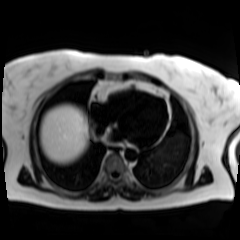
modality = chemical-shift-encoded cardiac MRI.